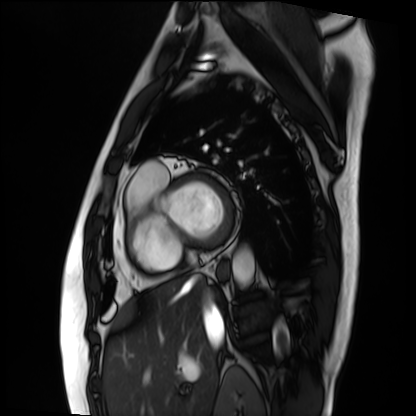
Cardiac MRI. Subject group: patient.